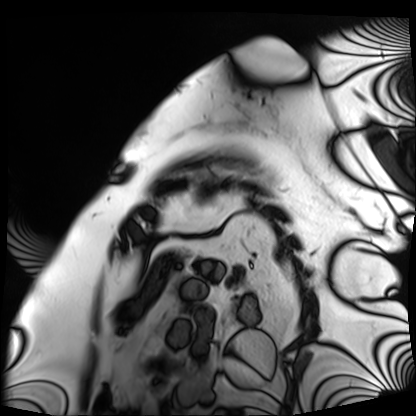
Cardiac MRI.
Subject group: patient.